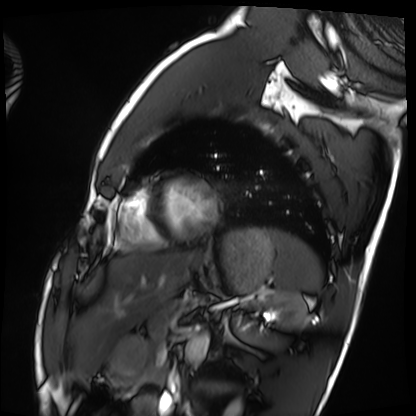
{
  "modality": "cardiac MRI",
  "cohort": "healthy volunteer"
}